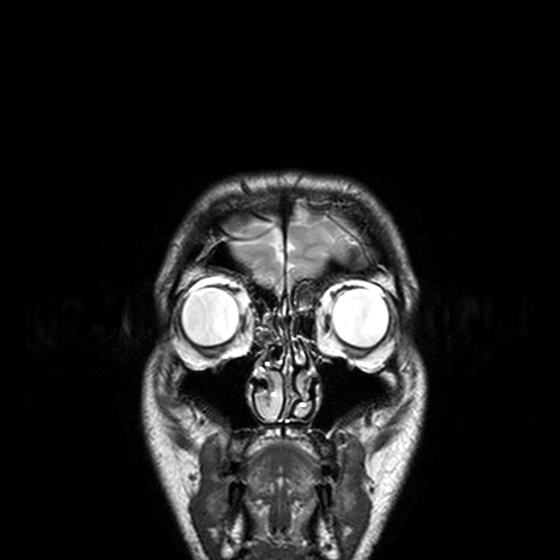
3 Tesla brain MRI. Series: T2-weighted turbo spin echo, 3 mm. Study: ring-enhancing brain masses.